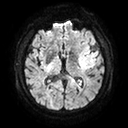
3 Tesla brain MRI.
Series: diffusion tensor imaging (medium iso).
Study: ring-enhancing brain masses.